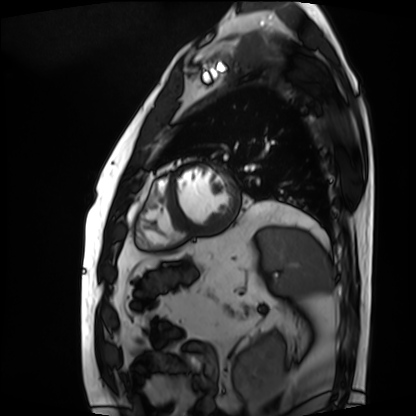
Cardiac MRI.
Subject group: patient.